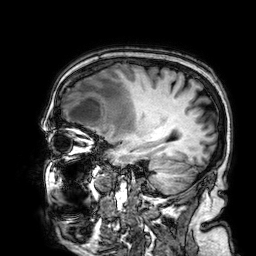
3 Tesla brain MRI. Series: 3D T1-weighted. Study: ring-enhancing brain masses.